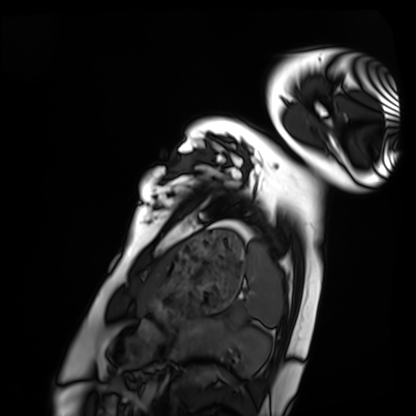
<scan>
<modality>cardiac MRI</modality>
<cohort>healthy volunteer</cohort>
</scan>